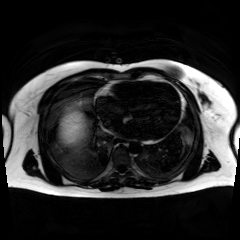
modality: chemical-shift-encoded cardiac MRI.